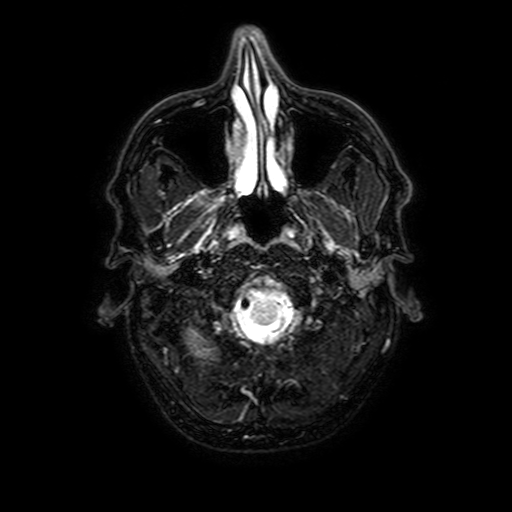
Case summary: 3 Tesla brain MRI. Series: FLAIR with SPAIR, 3 mm. Study: ring-enhancing brain masses.